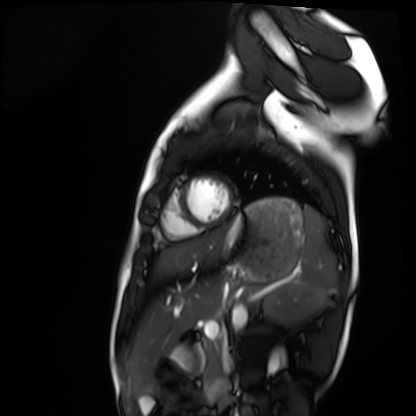
modality: cardiac MRI
cohort: healthy volunteer